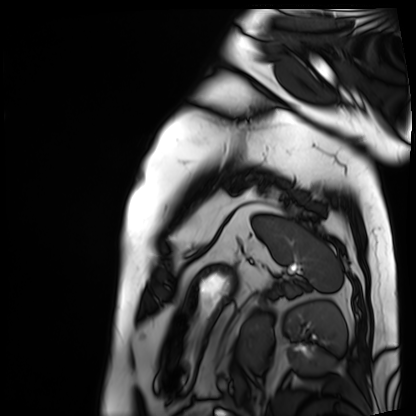
Case summary: Cardiac MRI. Subject group: patient.